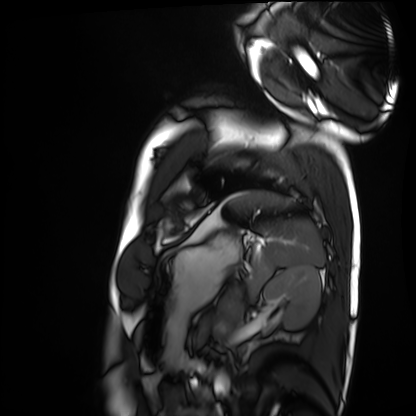
Summary:
Cardiac MRI. Subject group: healthy volunteer.